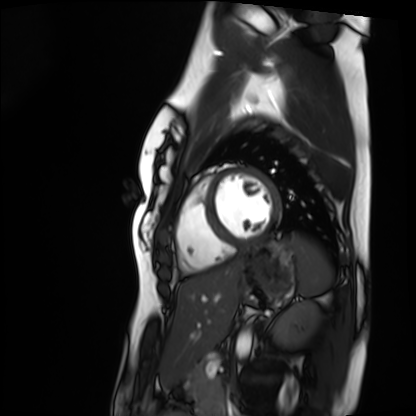
• modality · cardiac MRI
• subject group · healthy volunteer